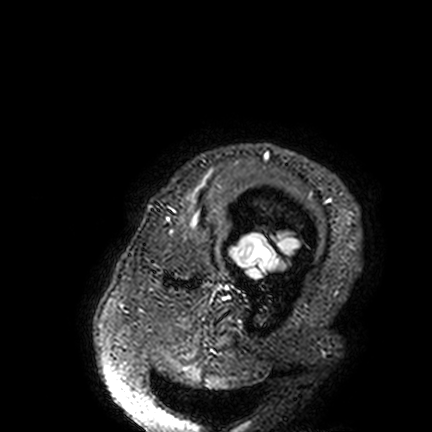
Case summary:
3 Tesla brain MRI. Series: FLAIR VISTA. Study: ring-enhancing brain masses.